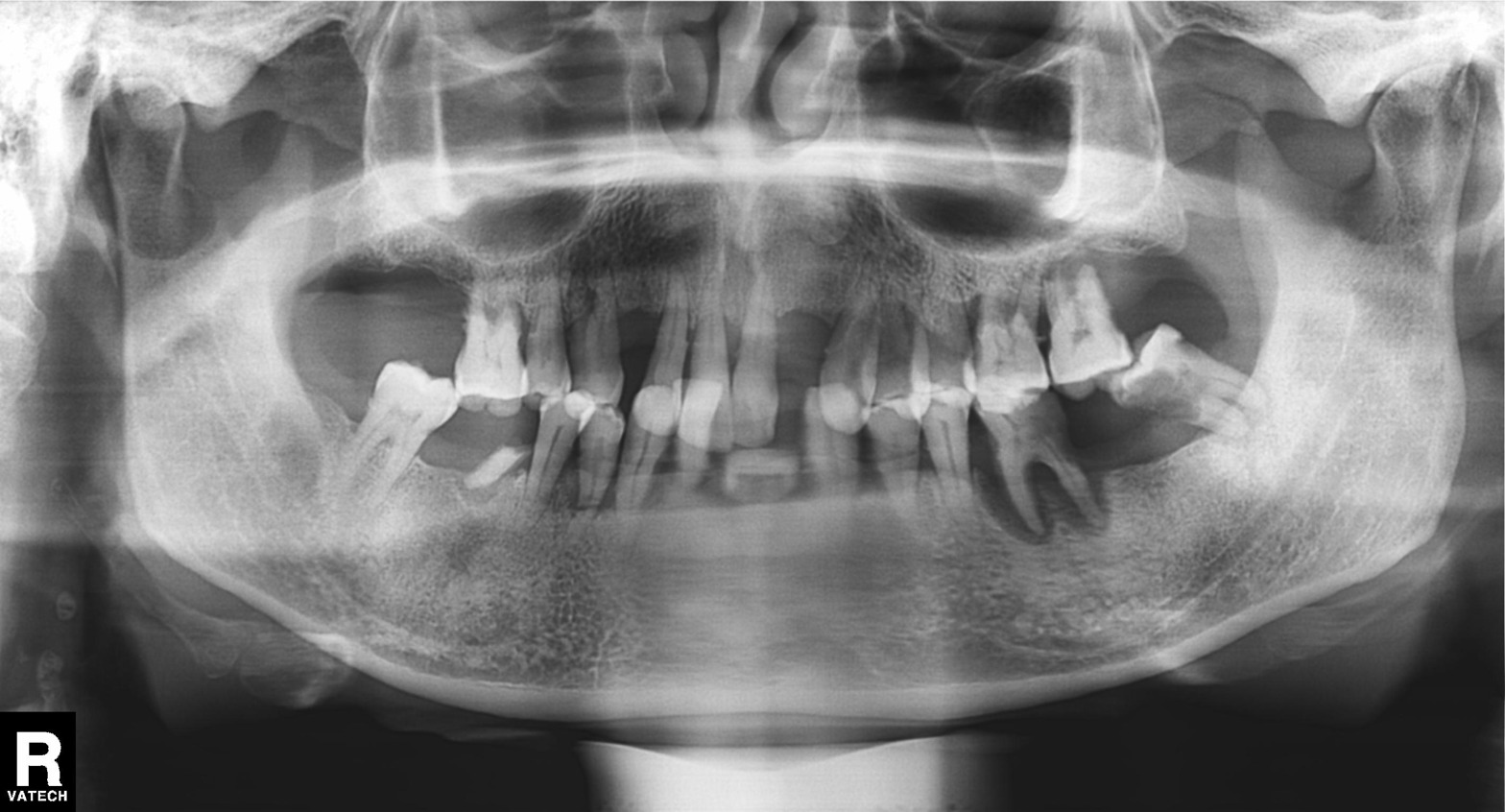
modality=panoramic dental radiograph (orthopantomogram) | finding=dental caries (cavities).